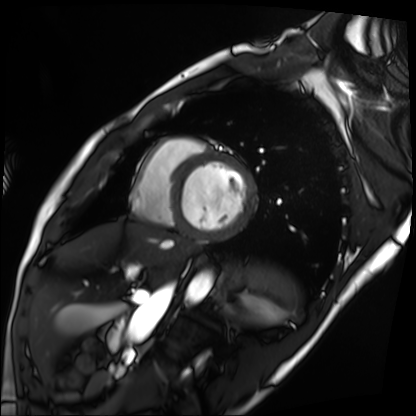
Cardiac MRI. Subject group: patient.